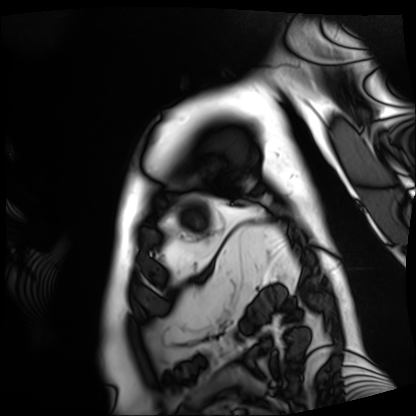
Cardiac MRI. Subject group: patient.